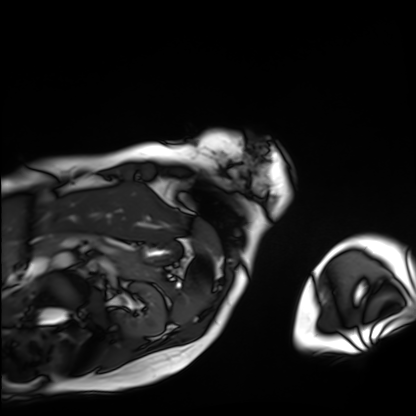
Cardiac MRI.
Subject group: patient.